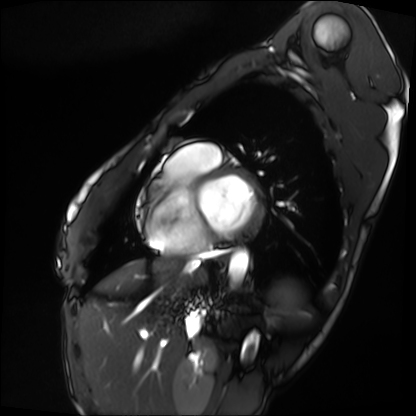
Summary: Cardiac MRI. Subject group: patient.